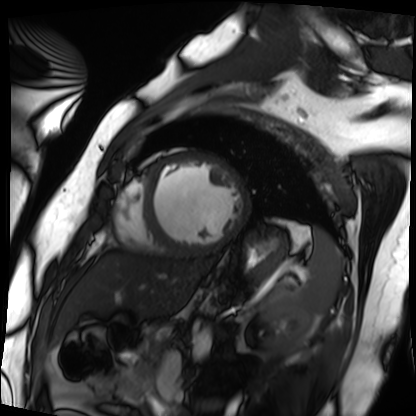
Q: What kind of scan is this?
A: Cardiac MRI.
Subject group: patient.